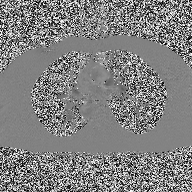
{
  "modality": {
    "type": "2D phase-contrast cine MRI",
    "region": "ascending aorta",
    "reconstruction": "high-resolution GRAPPA acquisition"
  }
}